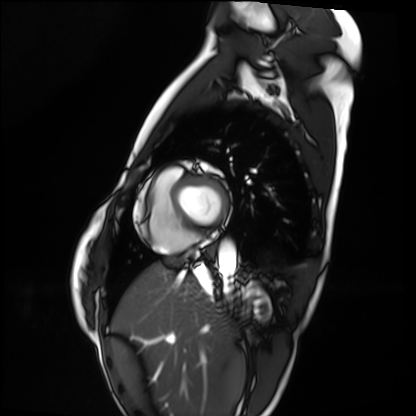
Cardiac MRI. Subject group: healthy volunteer.